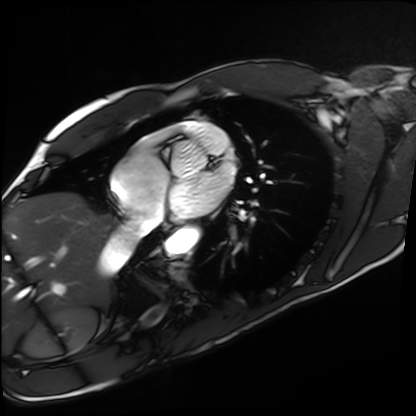
Clinical context: Cardiac MRI. Subject group: healthy volunteer.